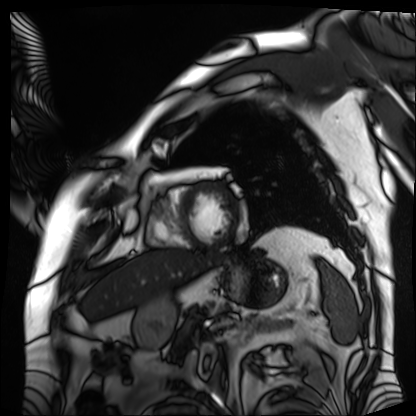
Summary: Cardiac MRI. Subject group: patient.